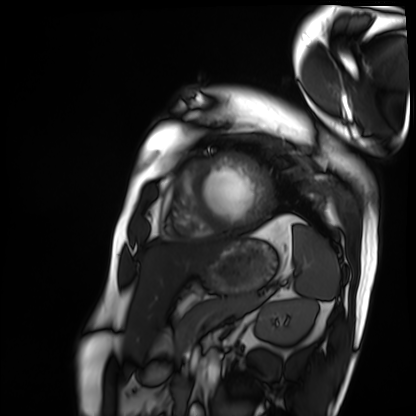
Case summary: Cardiac MRI. Subject group: patient.